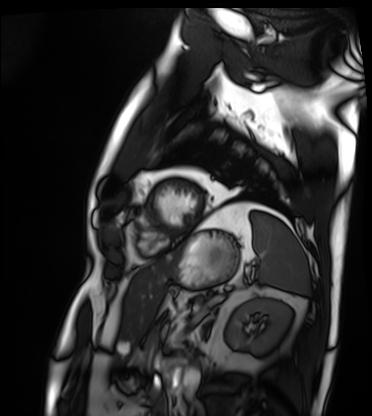
| field | value |
|---|---|
| modality | cardiac MRI |
| subject group | patient |